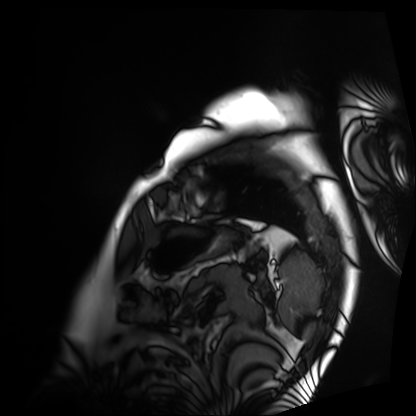
* modality · cardiac MRI
* subject group · patient